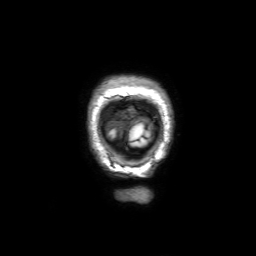
modality=3 Tesla brain MRI | series=3D T1-weighted with SENSE | study=ring-enhancing brain masses.